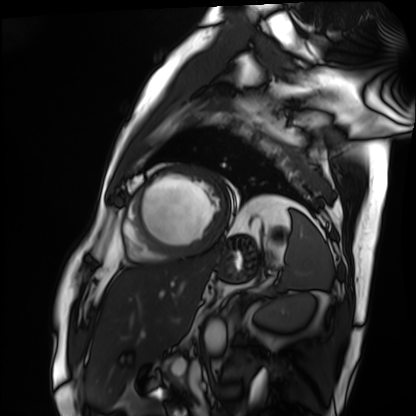
• modality · cardiac MRI
• subject group · patient